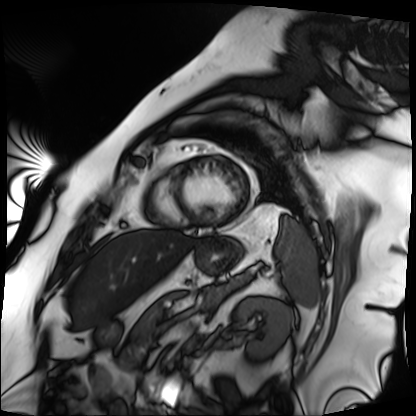
Cardiac MRI.
Subject group: patient.